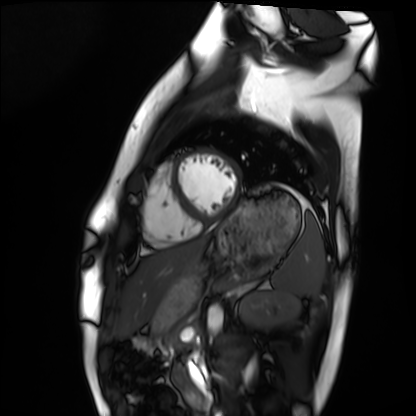
Summary: Cardiac MRI. Subject group: healthy volunteer.